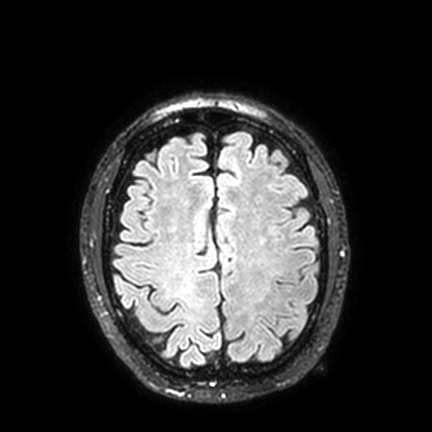
Summary: 3 Tesla brain MRI. Series: FLAIR VISTA with SENSE. Study: ring-enhancing brain masses.